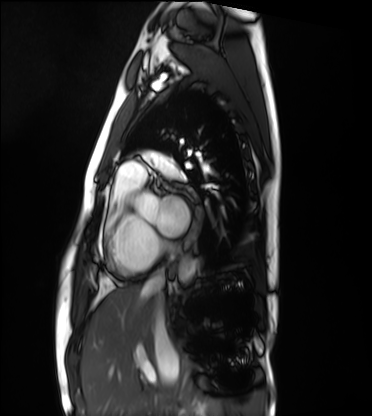
Cardiac MRI. Subject group: healthy volunteer.